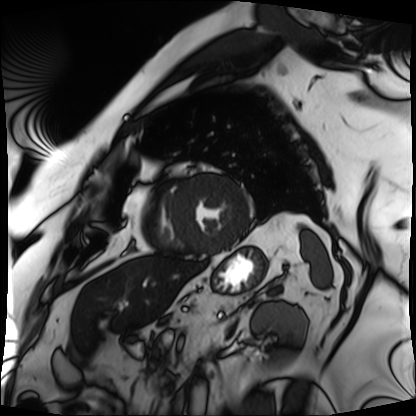
{"modality": "cardiac MRI", "cohort": "patient"}